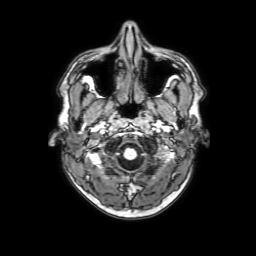
  modality:
    type: brain MRI
    field_strength: 3T
  study_topic: ring-enhancing brain masses